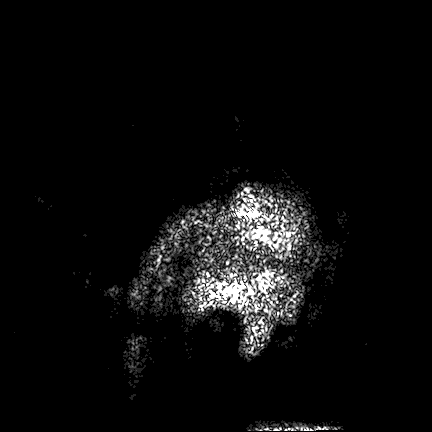
modality: 3 Tesla brain MRI | series: FLAIR VISTA | study: ring-enhancing brain masses.